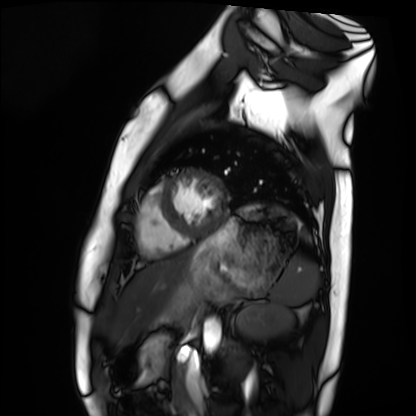
Q: What kind of scan is this?
A: Cardiac MRI.
Subject group: healthy volunteer.